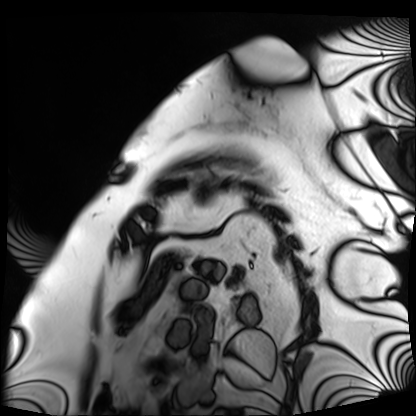
| field | value |
|---|---|
| modality | cardiac MRI |
| subject group | patient |